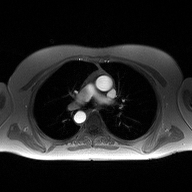
{
  "modality": {
    "type": "2D phase-contrast cine MRI",
    "region": "ascending aorta",
    "reconstruction": "high-resolution GRAPPA acquisition"
  }
}